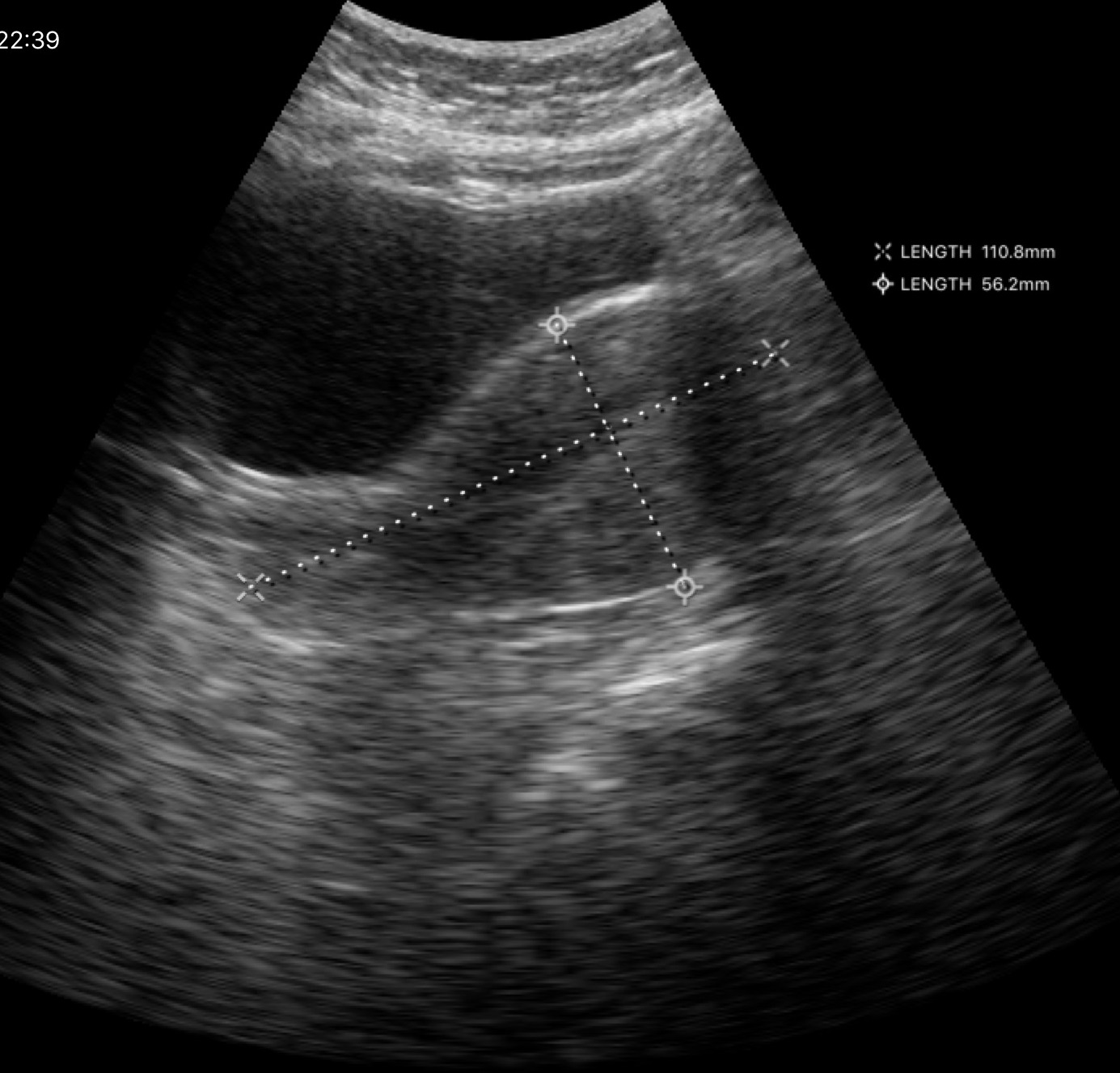
Genitourinary ultrasound.